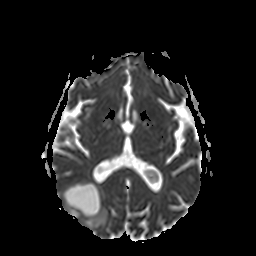
Summary:
3 Tesla brain MRI. Series: apparent diffusion coefficient (ADC) map. Study: ring-enhancing brain masses.